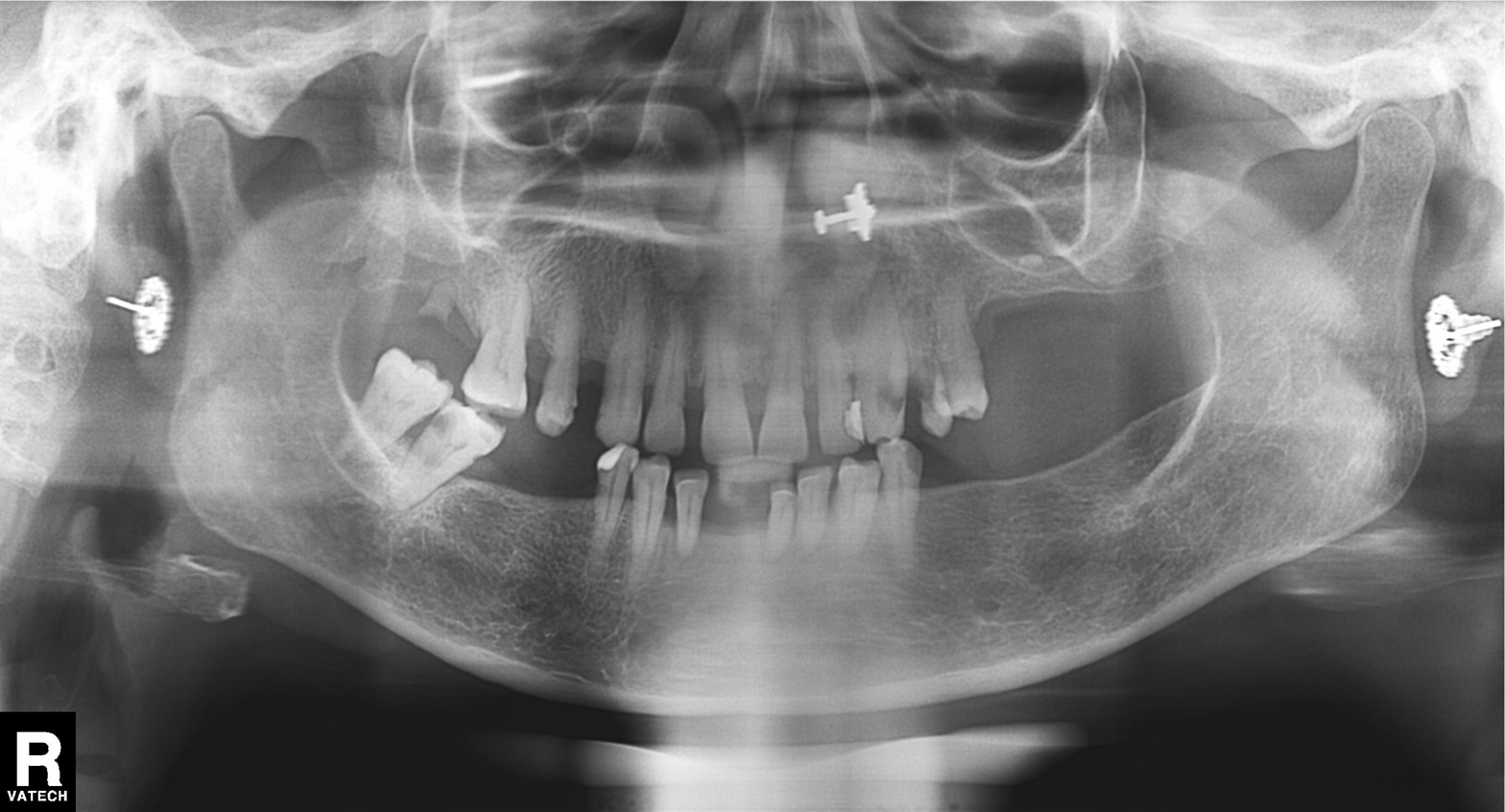
Panoramic dental radiograph (orthopantomogram). Finding: tooth impaction.